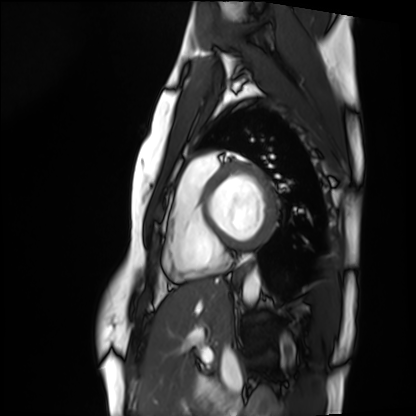
modality: cardiac MRI
cohort: healthy volunteer